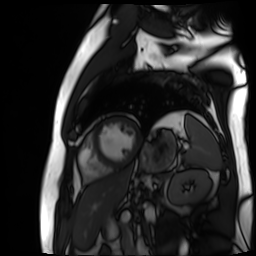
Case summary: Cardiac MR image of the myocardium. Subject cohort: cardiac patient.